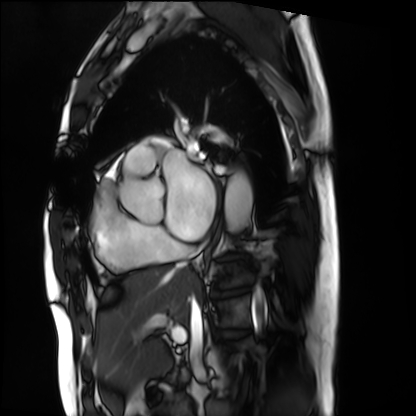
Cardiac MRI.
Subject group: patient.